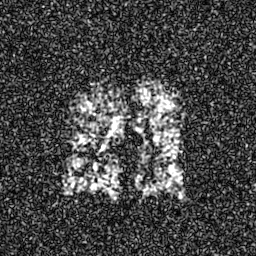
Summary: Hyperpolarized 129Xe ventilation MRI of the lungs.